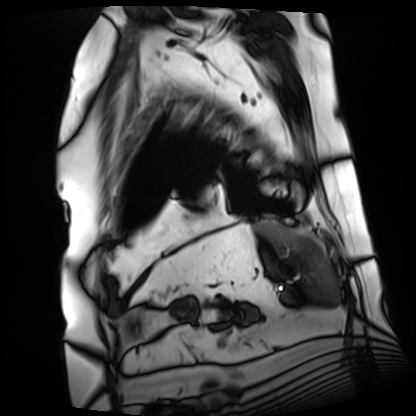
Clinical context: Cardiac MRI. Subject group: patient.